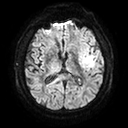
modality: 3 Tesla brain MRI
series: diffusion tensor imaging (medium iso)
study: ring-enhancing brain masses